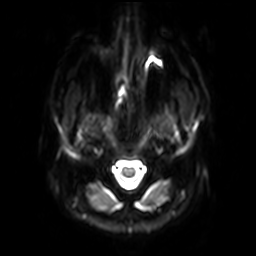
  modality:
    type: brain MRI
    field_strength: 3T
  series: diffusion-weighted imaging with SENSE (WIP)
  study_topic: ring-enhancing brain masses